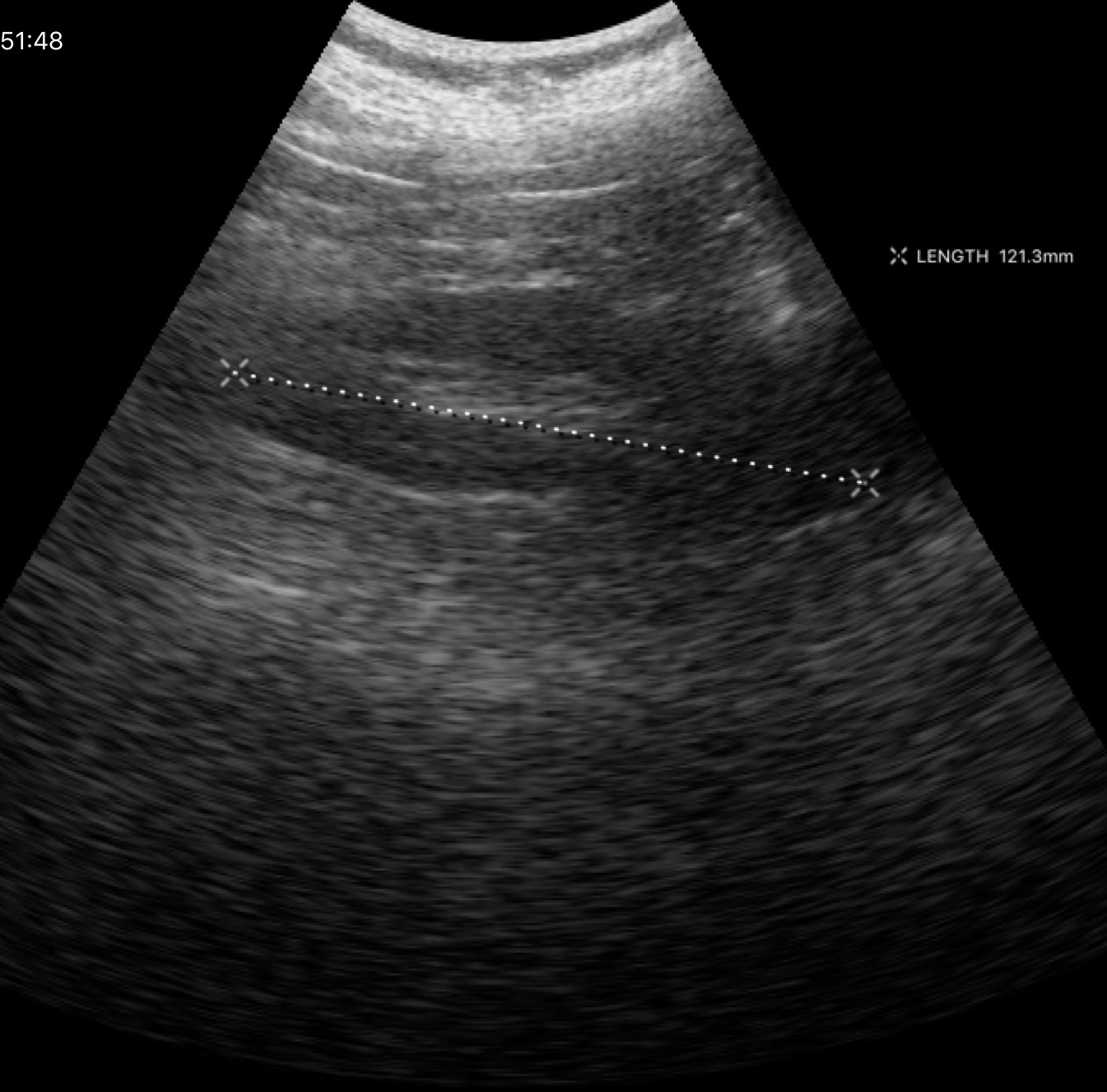
Case:
* modality: genitourinary ultrasound